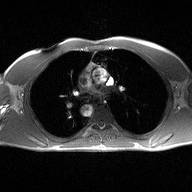
2D phase-contrast cine MRI of the ascending aorta, high-resolution GRAPPA acquisition.